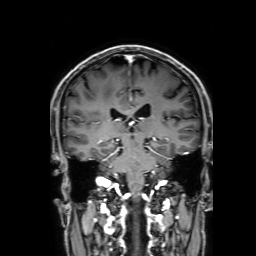
3 Tesla brain MRI. Series: 3D T1-weighted with SENSE. Study: ring-enhancing brain masses.